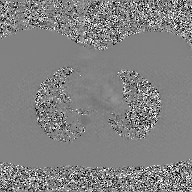
2D phase-contrast cine MRI of the ascending aorta, GAN super-resolution reconstruction.